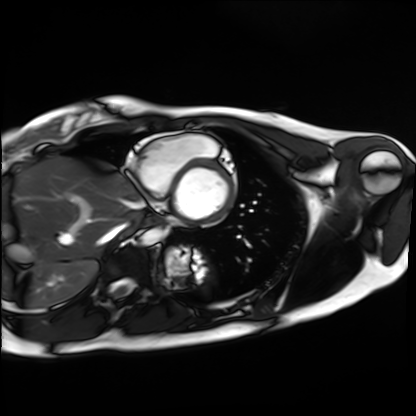
modality — cardiac MRI; subject group — healthy volunteer.